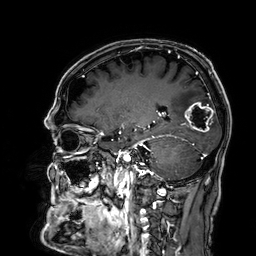
| field | value |
|---|---|
| modality | 3 Tesla brain MRI |
| series | 3D T1-weighted |
| study | ring-enhancing brain masses |